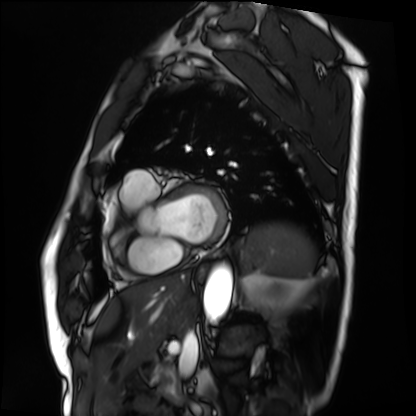
* modality — cardiac MRI
* subject group — patient